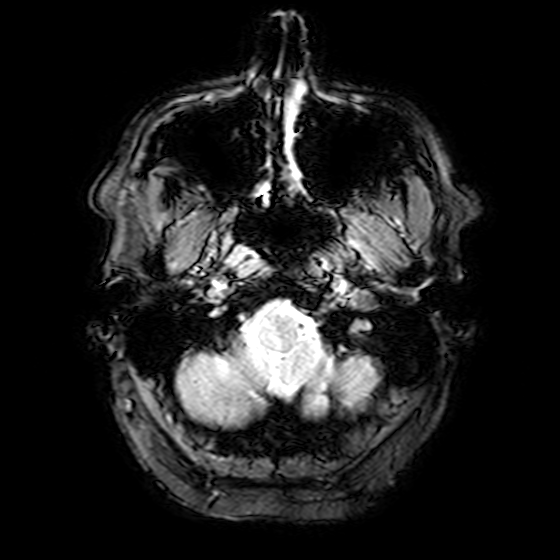
Case summary: 3 Tesla brain MRI. Series: T2-weighted fast field echo. Study: ring-enhancing brain masses.